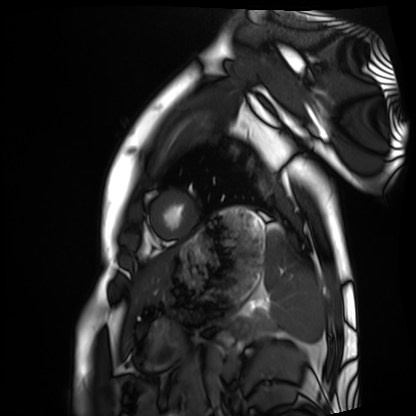
modality = cardiac MRI, subject group = healthy volunteer.